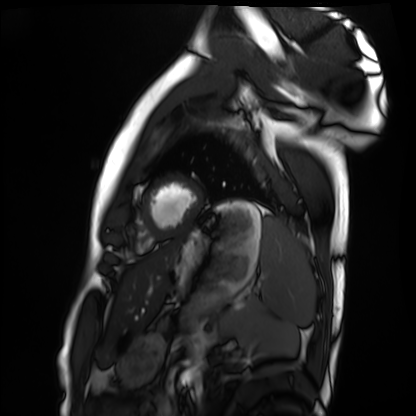
modality: cardiac MRI | subject group: healthy volunteer.